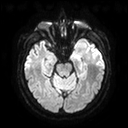
Q: What kind of scan is this?
A: 3 Tesla brain MRI.
Q: Series?
A: Diffusion tensor imaging (medium iso).
Study: ring-enhancing brain masses.